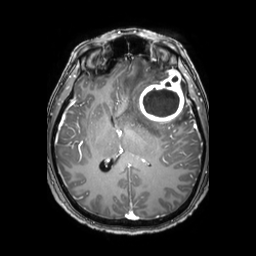
3 Tesla brain MRI.
Study: ring-enhancing brain masses.